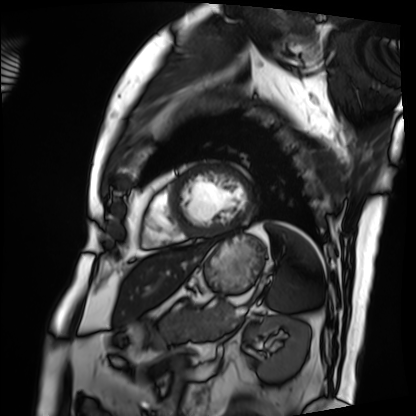
modality=cardiac MRI; subject group=patient.